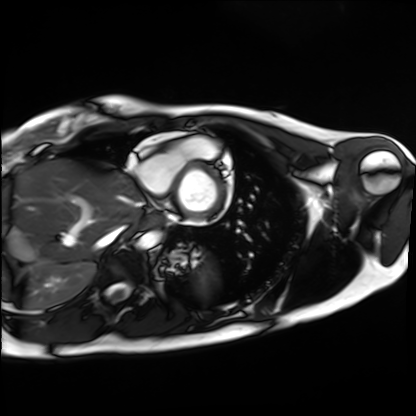
Summary: Cardiac MRI. Subject group: healthy volunteer.